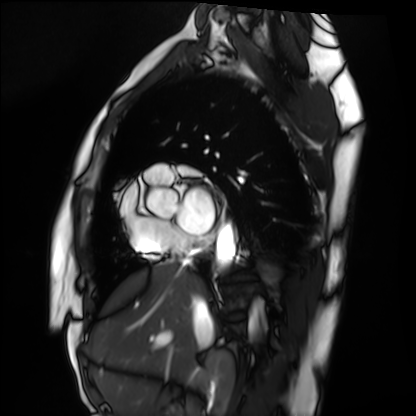
Case summary: Cardiac MRI. Subject group: healthy volunteer.